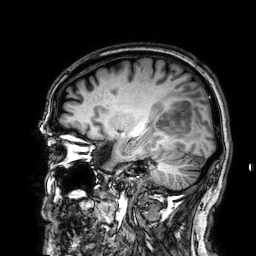
Case summary: 3 Tesla brain MRI. Series: 3D T1-weighted. Study: ring-enhancing brain masses.